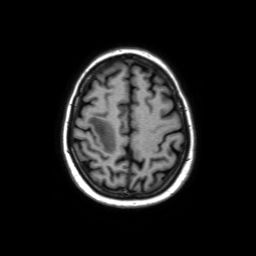
3 Tesla brain MRI. Series: axial without contrast. Study: ring-enhancing brain masses.